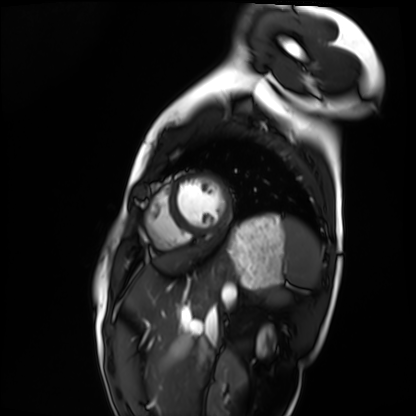
Cardiac MRI.
Subject group: healthy volunteer.